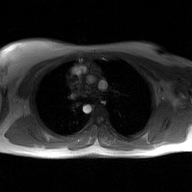
- modality: 2D phase-contrast cine MRI of the ascending aorta, GAN super-resolution reconstruction